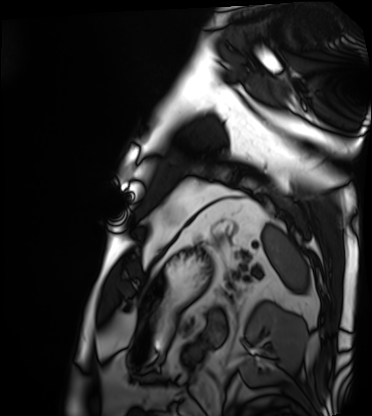
Clinical context:
Cardiac MRI. Subject group: patient.